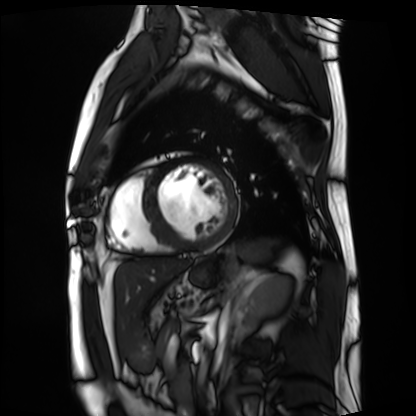
modality: cardiac MRI, subject group: patient.